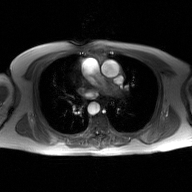
{
  "modality": {
    "type": "2D phase-contrast cine MRI",
    "region": "ascending aorta",
    "reconstruction": "GAN super-resolution reconstruction"
  }
}